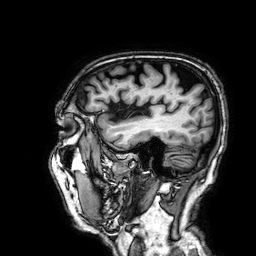
3 Tesla brain MRI. Series: 3D T1-weighted. Study: ring-enhancing brain masses.